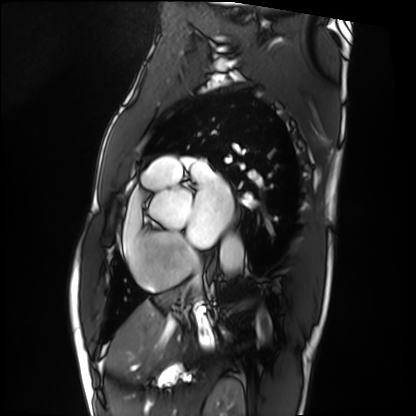
<record>
<modality>cardiac MRI</modality>
<cohort>patient</cohort>
</record>